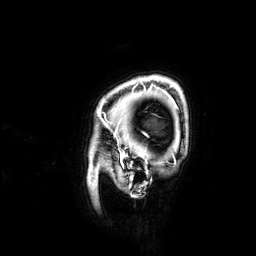
Summary: 3 Tesla brain MRI. Series: 3D T1-weighted. Study: ring-enhancing brain masses.